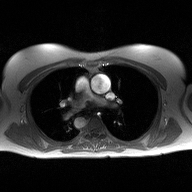
2D phase-contrast cine MRI of the ascending aorta, high-resolution GRAPPA acquisition.